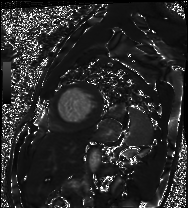
Cardiac MRI.
Subject group: patient.